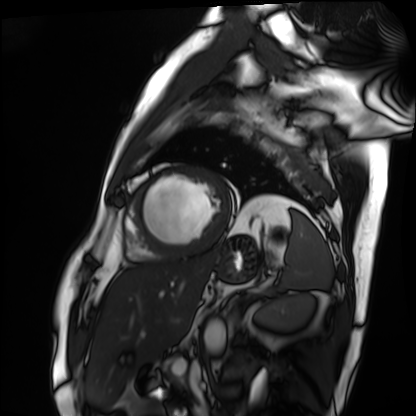
Clinical context:
Cardiac MRI. Subject group: patient.